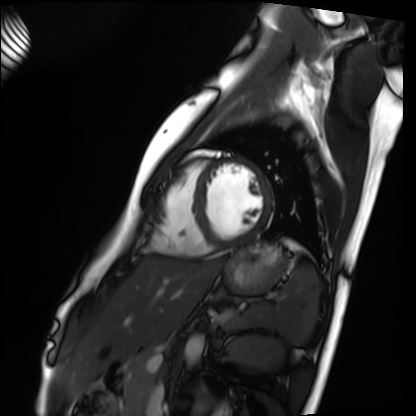
• modality: cardiac MRI
• subject group: healthy volunteer